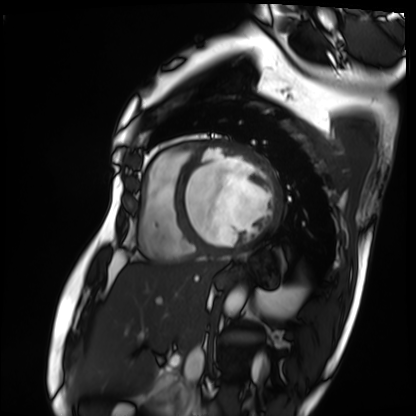
Cardiac MRI. Subject group: patient.